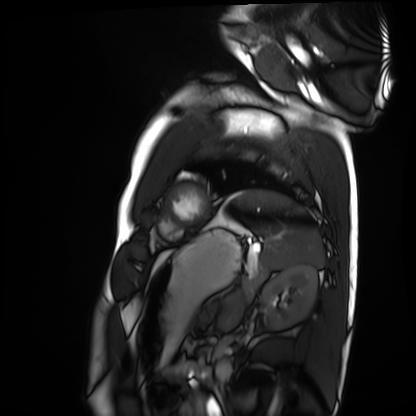
Cardiac MRI. Subject group: healthy volunteer.